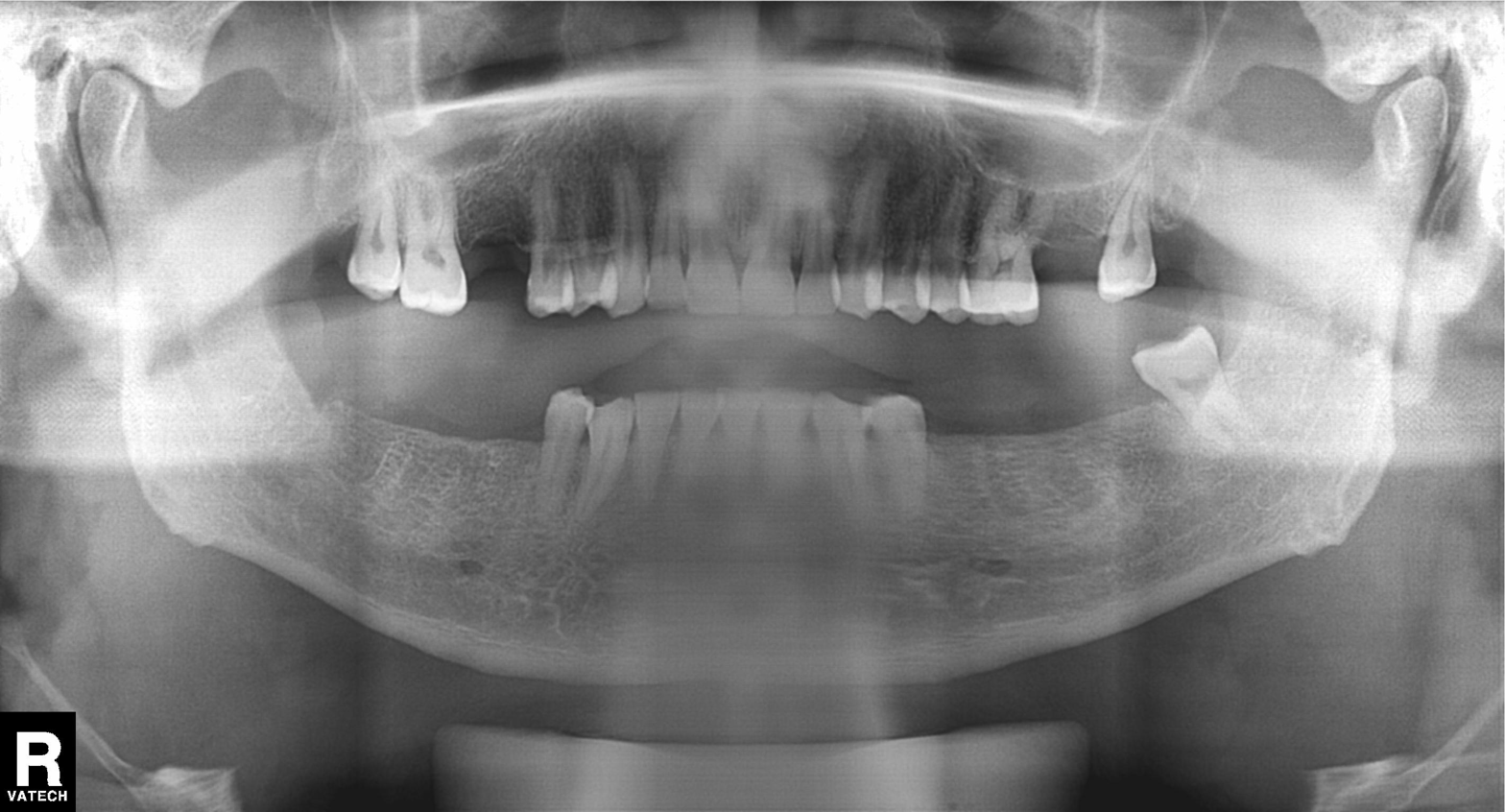
| feature | finding |
|---|---|
| modality | panoramic dental radiograph (orthopantomogram) |
| finding | alveolar bone loss |